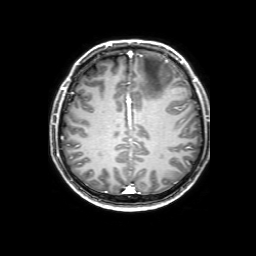
3 Tesla brain MRI. Series: 3D T1-weighted with SENSE. Study: ring-enhancing brain masses.